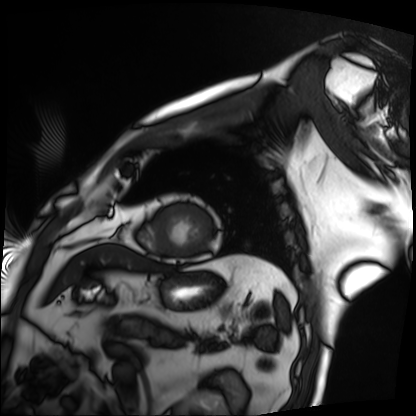
Cardiac MRI.
Subject group: patient.